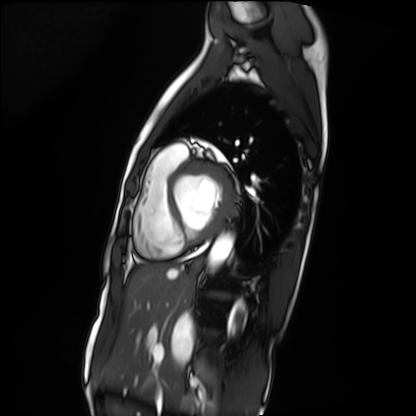
modality — cardiac MRI
subject group — patient